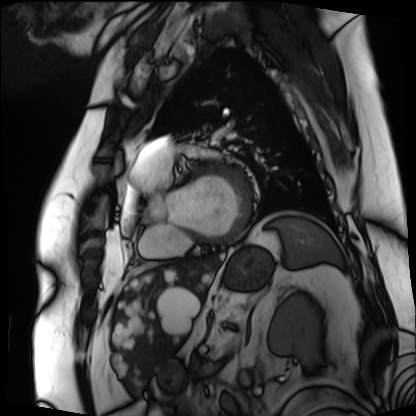
Cardiac MRI.
Subject group: patient.